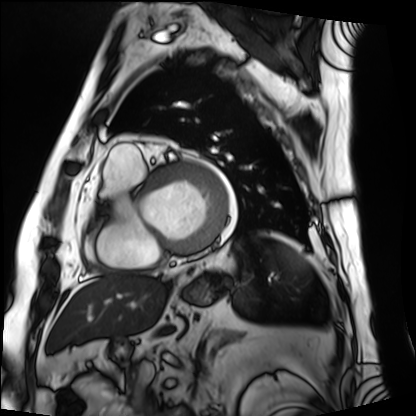
| field | value |
|---|---|
| modality | cardiac MRI |
| subject group | patient |